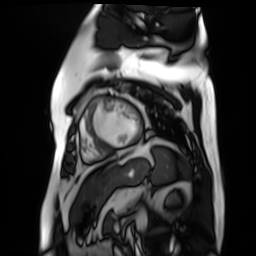
modality: cardiac MR image of the myocardium
subject cohort: cardiac patient